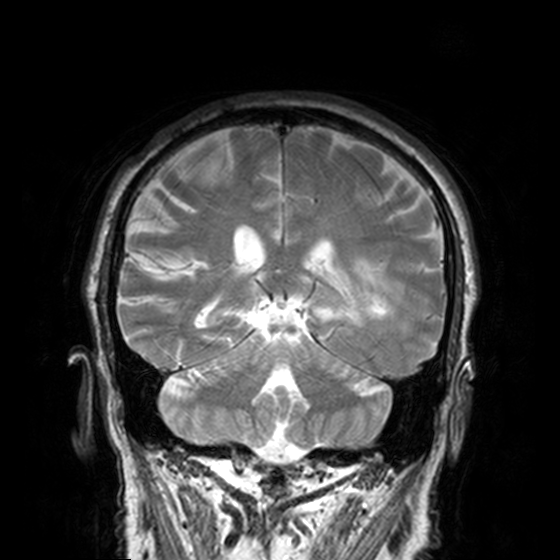
Summary: 3 Tesla brain MRI. Series: T2-weighted turbo spin echo, 3 mm. Study: ring-enhancing brain masses.